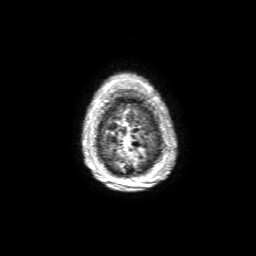
Q: What kind of scan is this?
A: 3 Tesla brain MRI.
Q: Series?
A: 3D T1-weighted with SENSE.
Study: ring-enhancing brain masses.